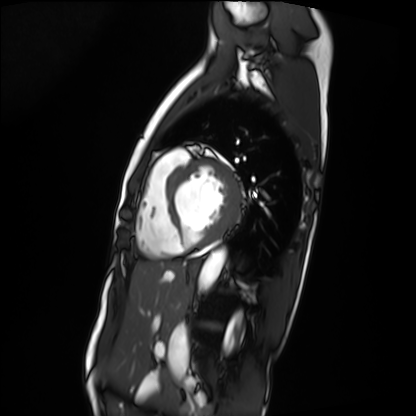
modality: cardiac MRI
subject group: patient